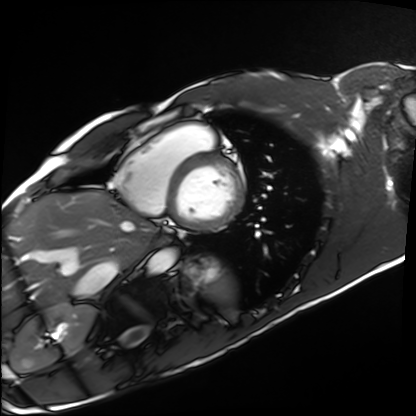
Case summary:
Cardiac MRI. Subject group: healthy volunteer.